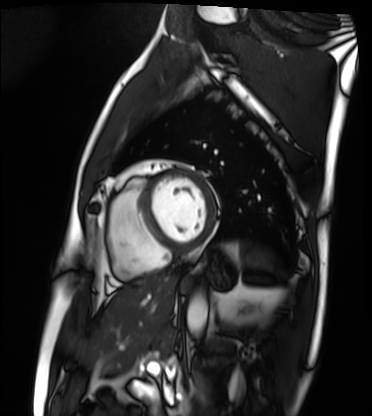
Q: What kind of scan is this?
A: Cardiac MRI.
Subject group: patient.